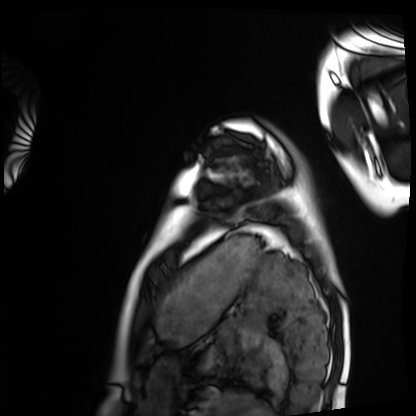
modality: cardiac MRI
cohort: healthy volunteer